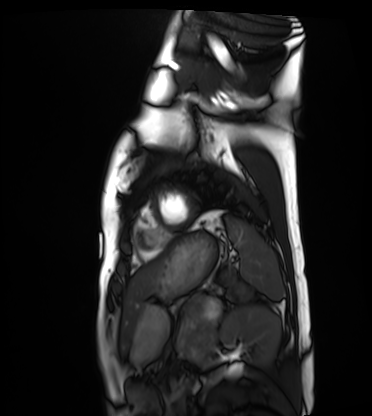
modality: cardiac MRI
subject group: healthy volunteer